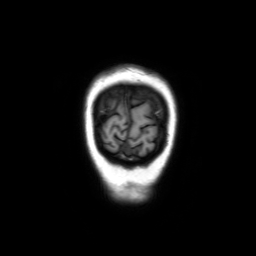
3 Tesla brain MRI. Series: coronal without contrast. Study: ring-enhancing brain masses.